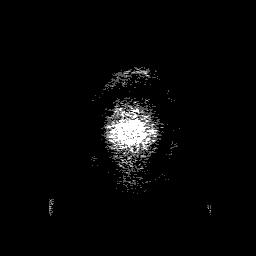
Summary: 3 Tesla brain MRI. Series: 3D T1-weighted with SENSE. Study: ring-enhancing brain masses.